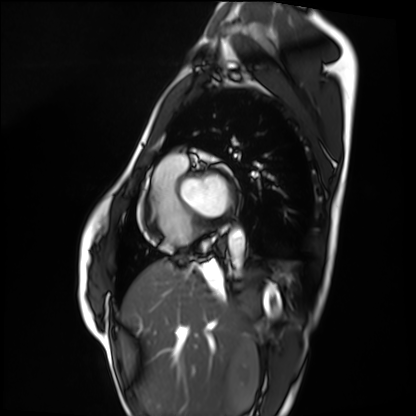
Cardiac MRI. Subject group: healthy volunteer.